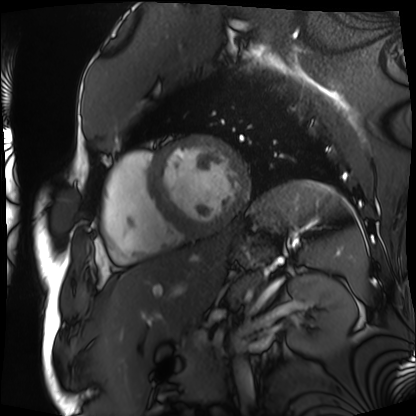
Q: What kind of scan is this?
A: Cardiac MRI.
Subject group: patient.